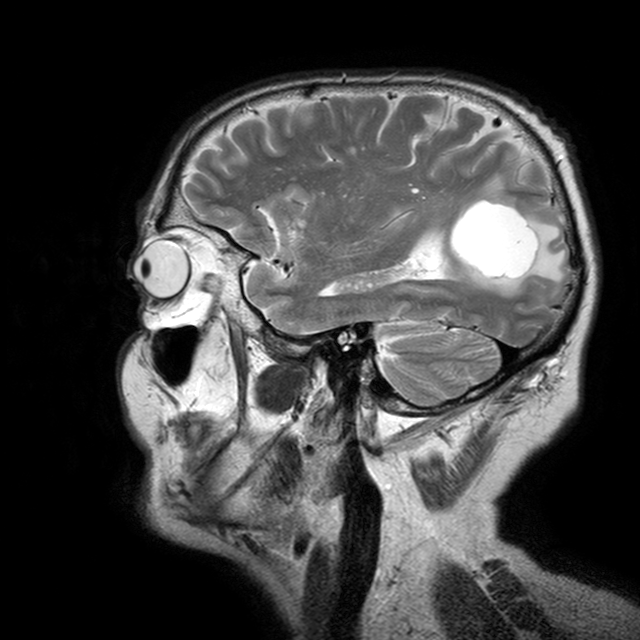
{"modality": {"type": "brain MRI", "field_strength": "3T"}, "study_topic": "ring-enhancing brain masses"}